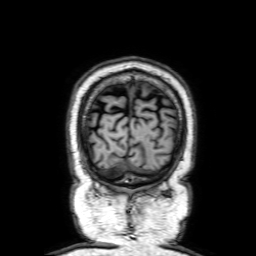
3 Tesla brain MRI.
Series: 3D T1-weighted with SENSE.
Study: ring-enhancing brain masses.